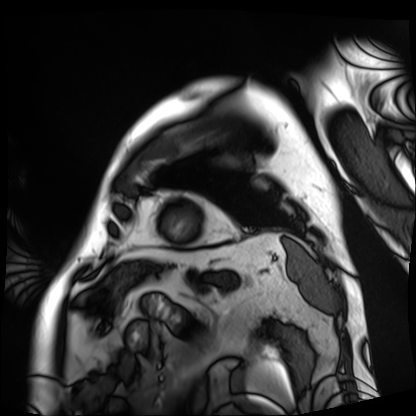
Cardiac MRI. Subject group: patient.